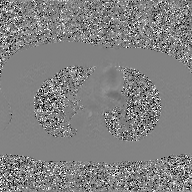
| field | value |
|---|---|
| modality | 2D phase-contrast cine MRI of the ascending aorta, GAN super-resolution reconstruction |